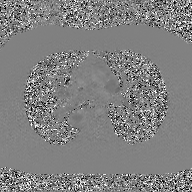
{
  "modality": {
    "type": "2D phase-contrast cine MRI",
    "region": "ascending aorta",
    "reconstruction": "GAN super-resolution reconstruction"
  }
}